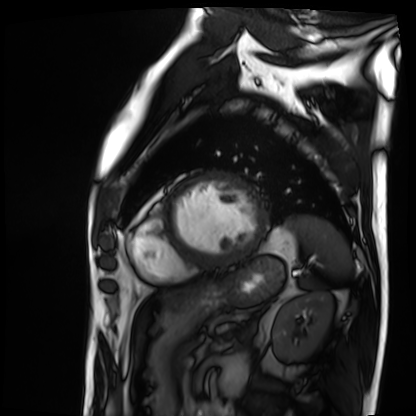
Summary: Cardiac MRI. Subject group: patient.